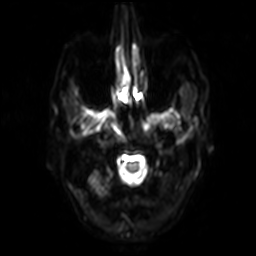
Summary: 3 Tesla brain MRI. Series: diffusion-weighted imaging with SENSE (WIP). Study: ring-enhancing brain masses.